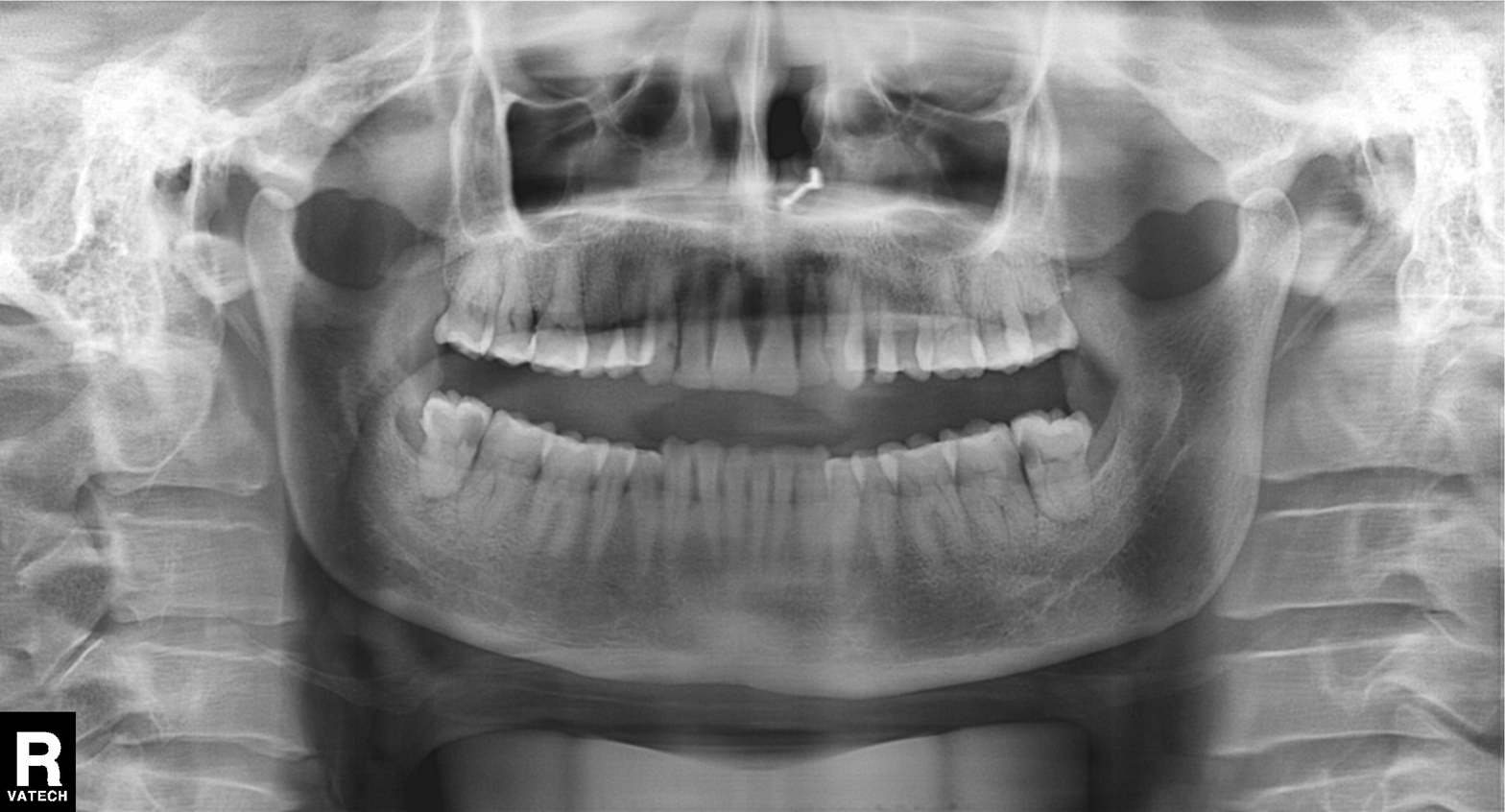
Panoramic dental radiograph (orthopantomogram).
Finding: dental caries (cavities).